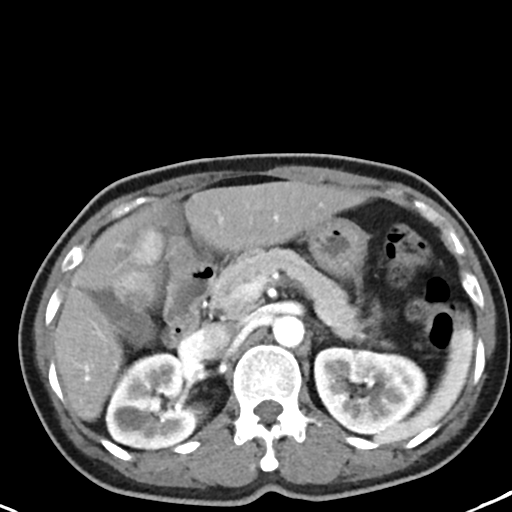
modality: multiphase abdominal CT, liver, arterial phase; patient: female, age 48.